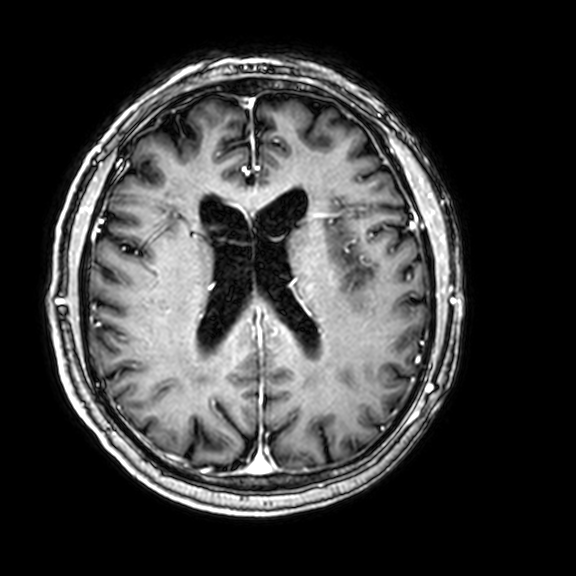
3 Tesla brain MRI. Series: 3D T1-weighted with CLEAR. Study: ring-enhancing brain masses.